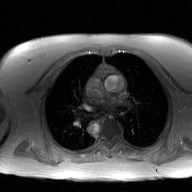
modality — 2D phase-contrast cine MRI of the ascending aorta, GAN super-resolution reconstruction.